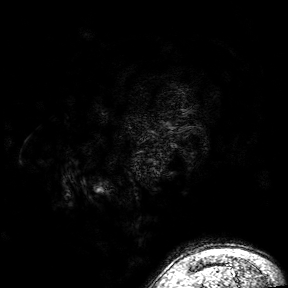
Summary:
3 Tesla brain MRI. Series: 3D T1-weighted turbo field echo with SENSE. Study: ring-enhancing brain masses.